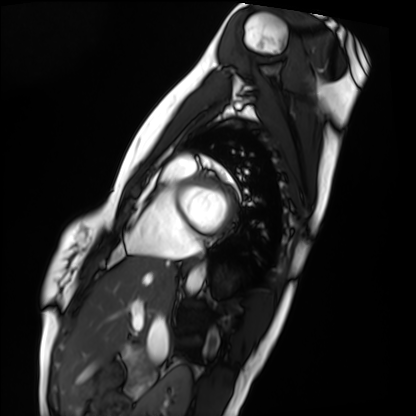
Cardiac MRI. Subject group: healthy volunteer.